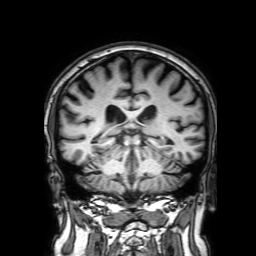
  modality:
    type: brain MRI
    field_strength: 3T
  series: 3D T1-weighted with SENSE
  study_topic: ring-enhancing brain masses